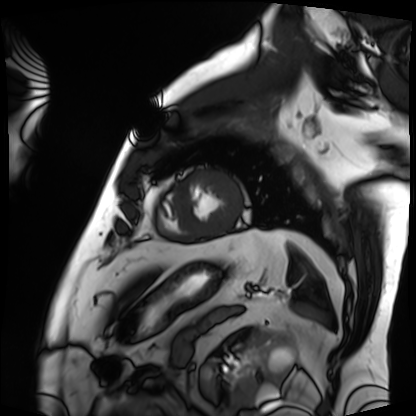
modality: cardiac MRI | subject group: patient.